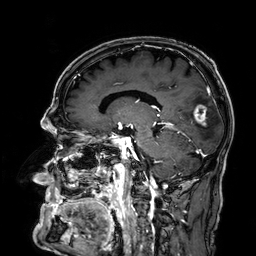
3 Tesla brain MRI. Series: 3D T1-weighted. Study: ring-enhancing brain masses.